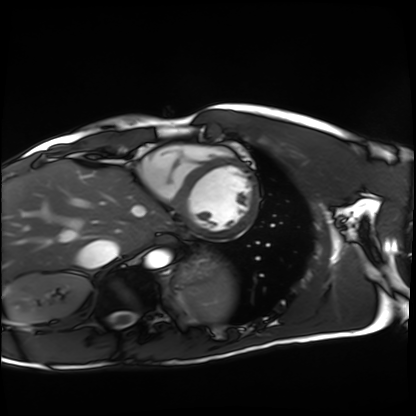
Q: What kind of scan is this?
A: Cardiac MRI.
Subject group: healthy volunteer.